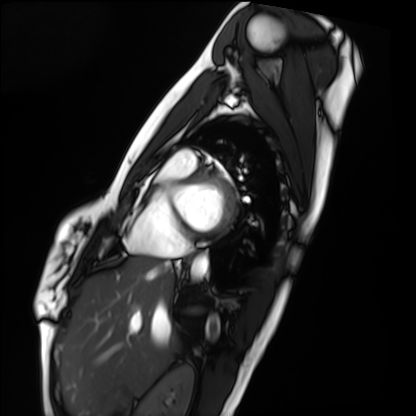
modality: cardiac MRI | subject group: healthy volunteer.